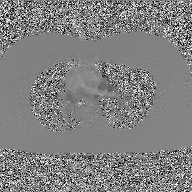
2D phase-contrast cine MRI of the ascending aorta, GAN super-resolution reconstruction.